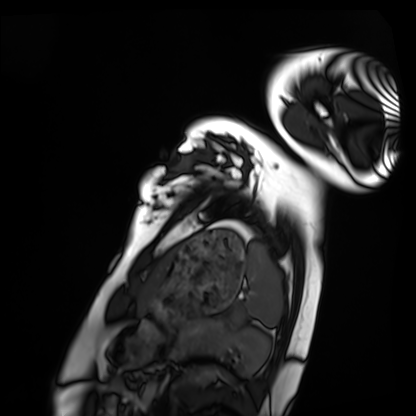
Summary:
Cardiac MRI. Subject group: healthy volunteer.